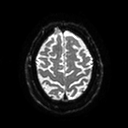
modality: 3 Tesla brain MRI; series: diffusion tensor imaging (medium iso); study: ring-enhancing brain masses.